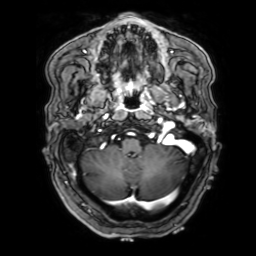
3 Tesla brain MRI. Series: 3D T1-weighted with SENSE. Study: ring-enhancing brain masses.